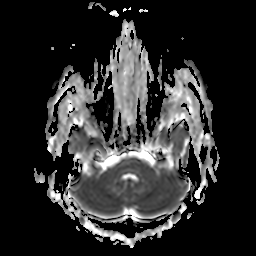
3 Tesla brain MRI.
Series: apparent diffusion coefficient (ADC) map.
Study: ring-enhancing brain masses.